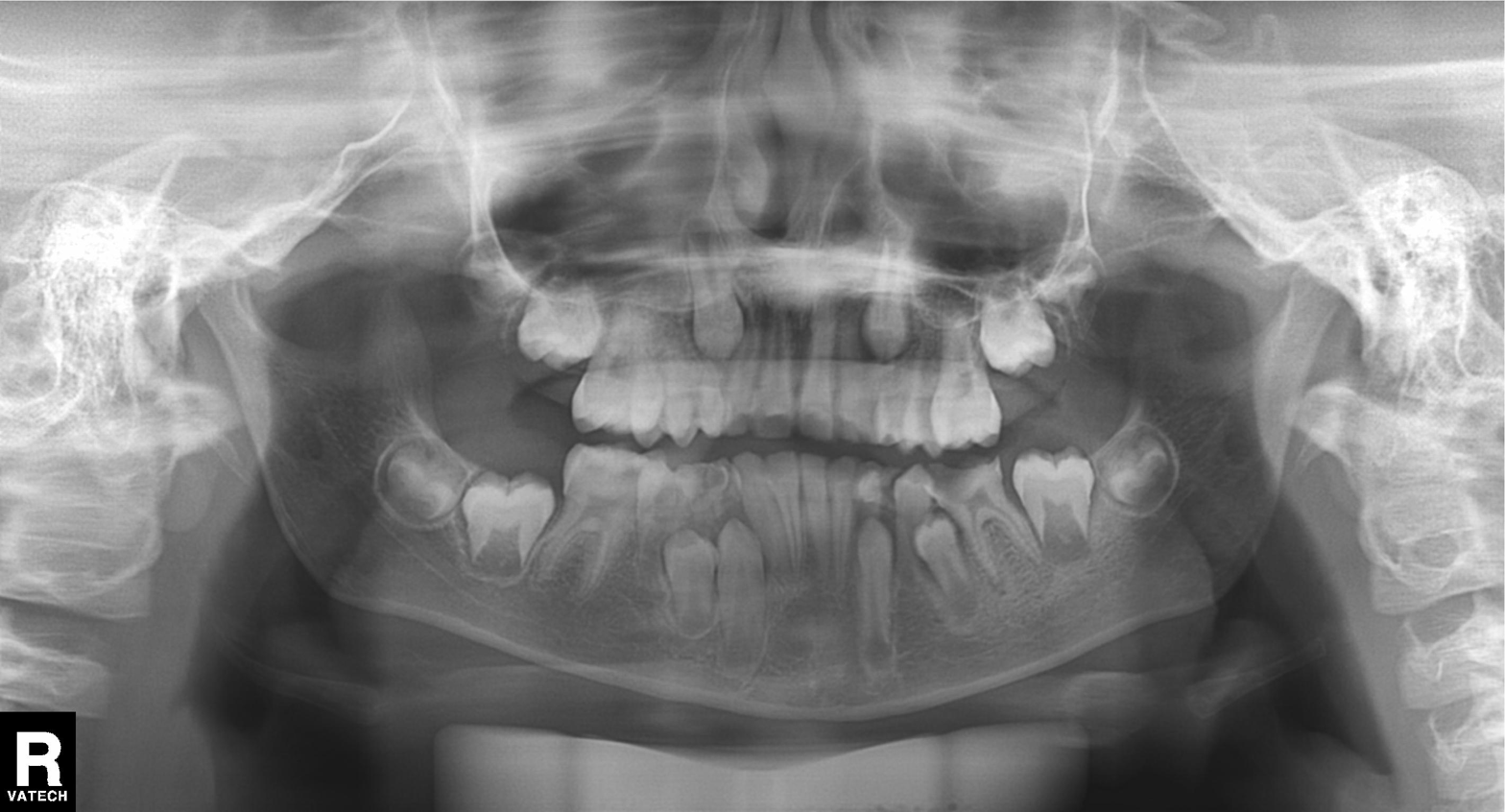
Panoramic dental radiograph (orthopantomogram). Finding: alveolar bone loss.